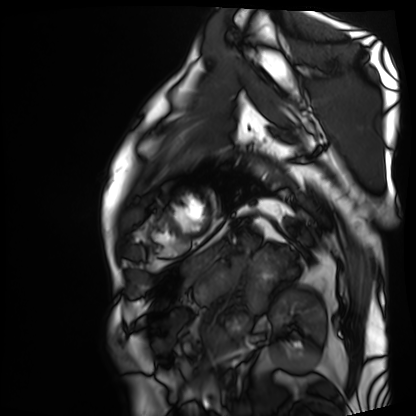
{
  "modality": "cardiac MRI",
  "cohort": "patient"
}